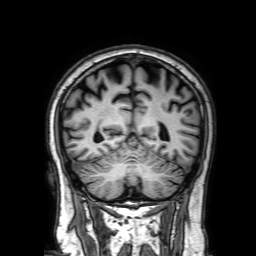
3 Tesla brain MRI. Series: 3D T1-weighted with SENSE. Study: ring-enhancing brain masses.